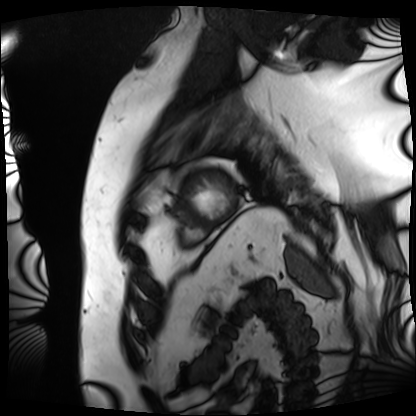
Cardiac MRI.
Subject group: patient.